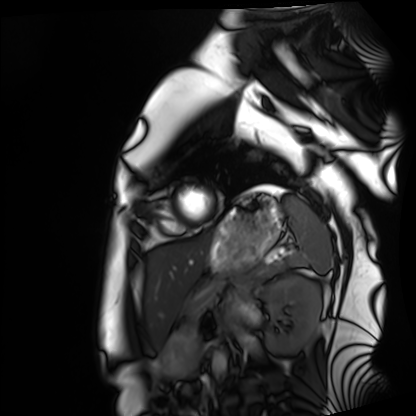
Summary:
Cardiac MRI. Subject group: healthy volunteer.